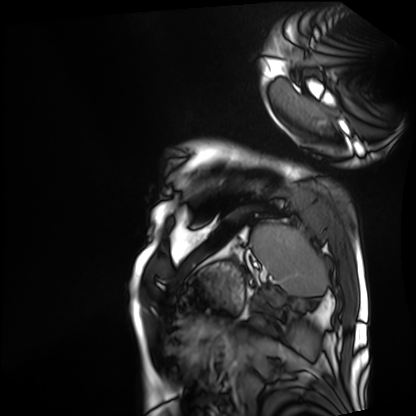
Cardiac MRI. Subject group: patient.